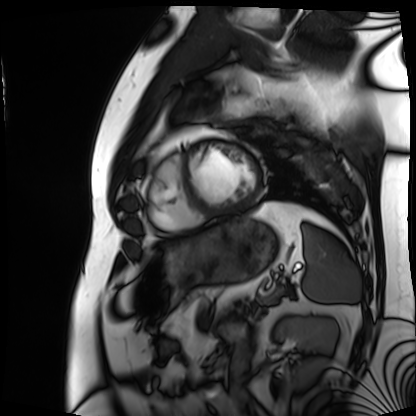
modality = cardiac MRI | subject group = patient.